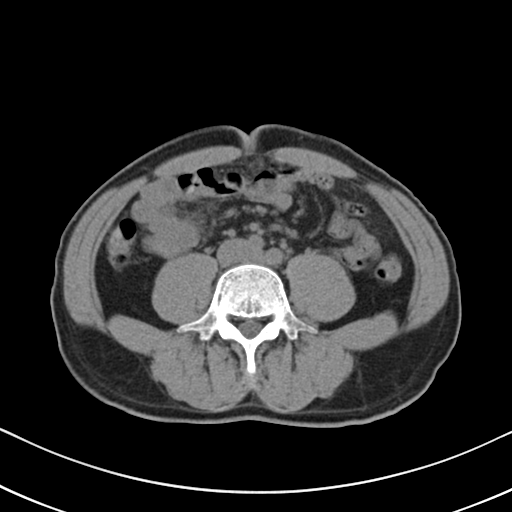
modality: multiphase abdominal CT, liver, non-contrast phase; patient: male, age 57; history: cirrhosis, viral hepatitis.